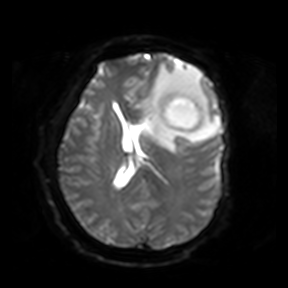
modality: 3 Tesla brain MRI; series: diffusion-weighted imaging; study: ring-enhancing brain masses.